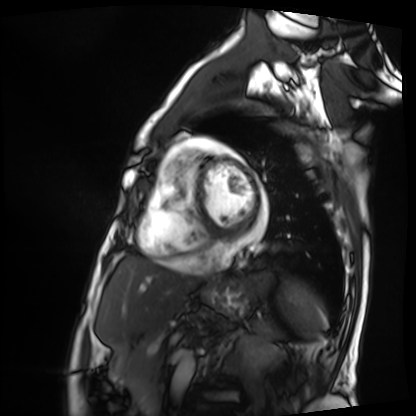
Q: What kind of scan is this?
A: Cardiac MRI.
Subject group: patient.